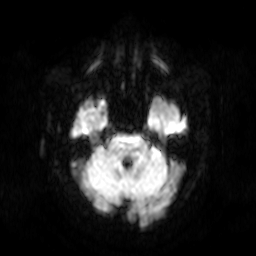
Q: What kind of scan is this?
A: 3 Tesla brain MRI.
Study: ring-enhancing brain masses.